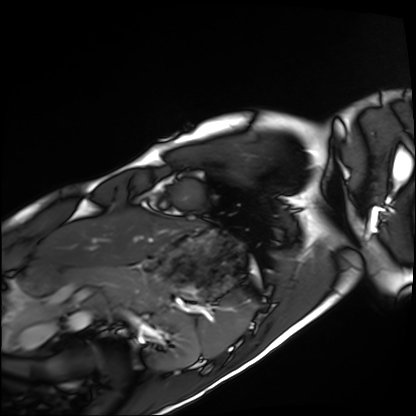
Summary: Cardiac MRI. Subject group: healthy volunteer.